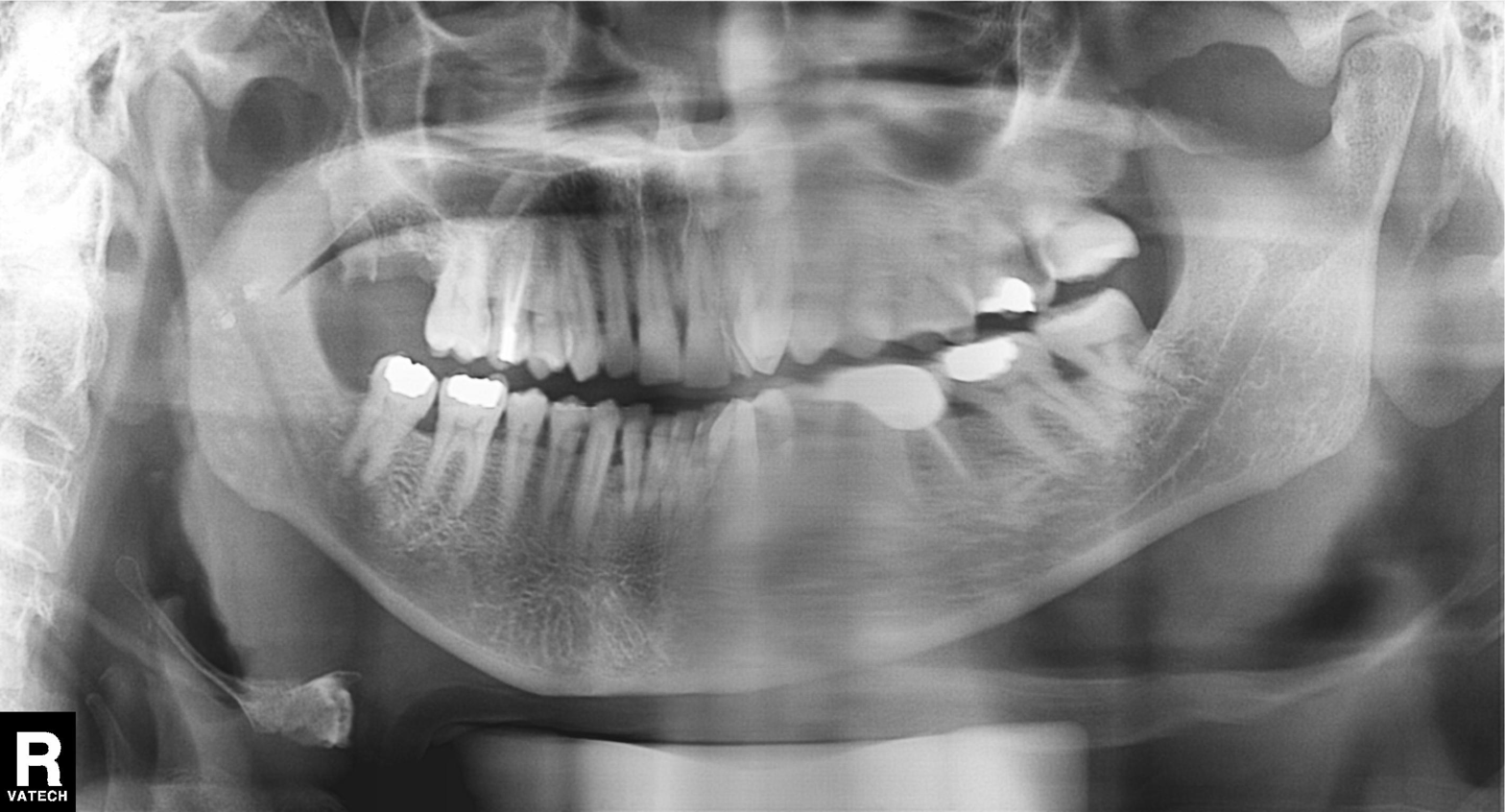
Panoramic dental radiograph (orthopantomogram). Finding: dental caries (cavities).